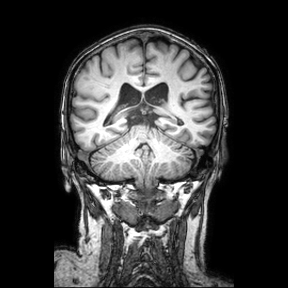
Clinical context: 3 Tesla brain MRI. Series: coronal. Study: ring-enhancing brain masses.